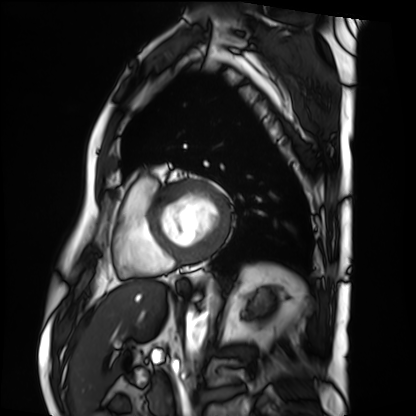
Q: What kind of scan is this?
A: Cardiac MRI.
Subject group: patient.